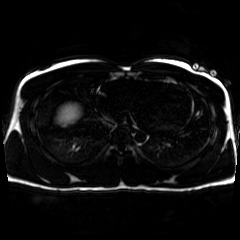
{"modality": "chemical-shift-encoded cardiac MRI"}